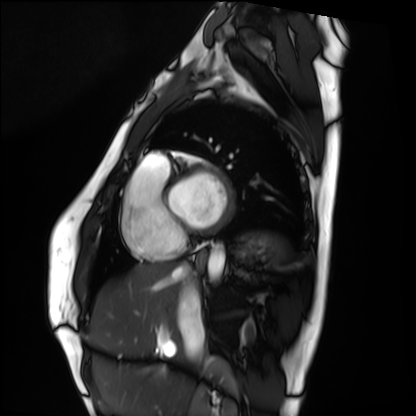
Summary: Cardiac MRI. Subject group: healthy volunteer.